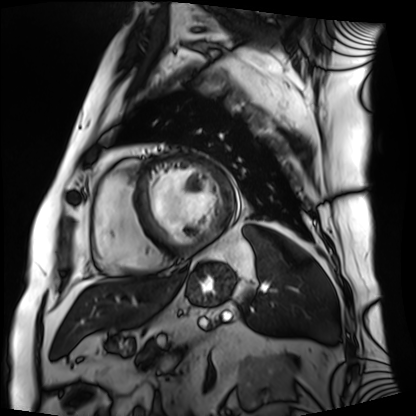
<scan>
<modality>cardiac MRI</modality>
<cohort>patient</cohort>
</scan>